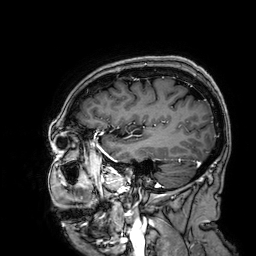
3 Tesla brain MRI. Series: 3D T1-weighted. Study: ring-enhancing brain masses.